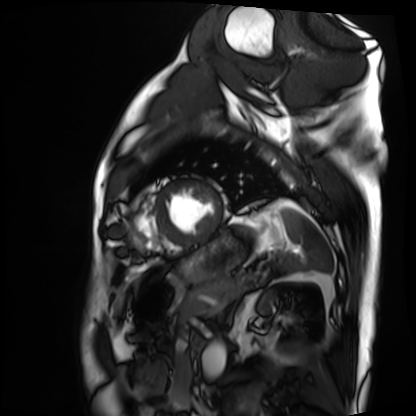
modality=cardiac MRI; subject group=patient.